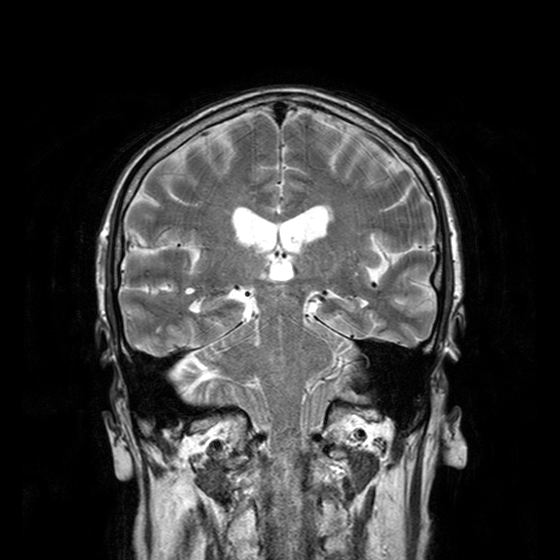
modality: 3 Tesla brain MRI
study: ring-enhancing brain masses